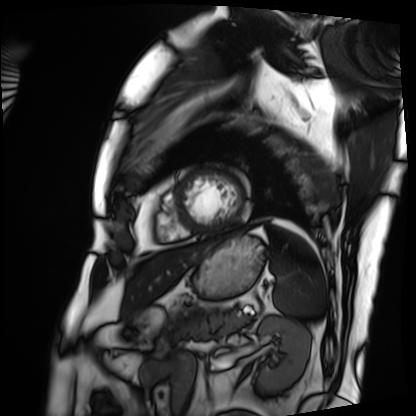
Cardiac MRI. Subject group: patient.